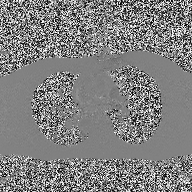
modality = 2D phase-contrast cine MRI of the ascending aorta.